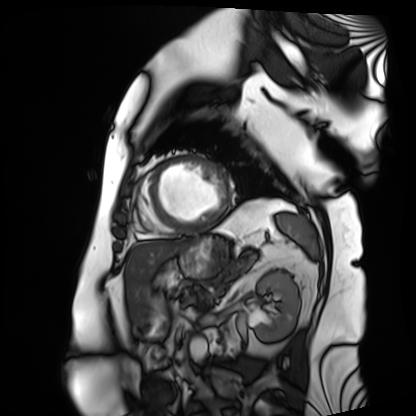
{
  "modality": "cardiac MRI",
  "cohort": "patient"
}